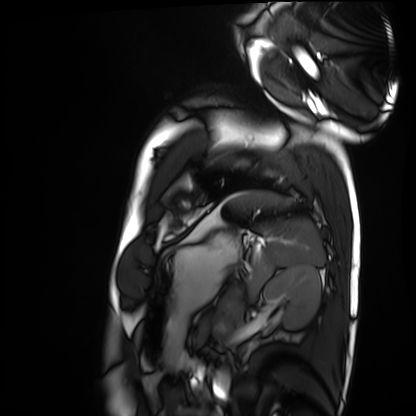
modality: cardiac MRI
cohort: healthy volunteer